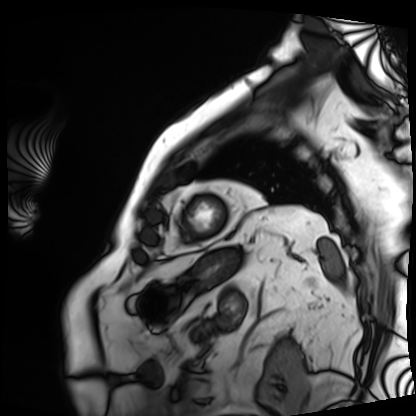
Cardiac MRI. Subject group: patient.